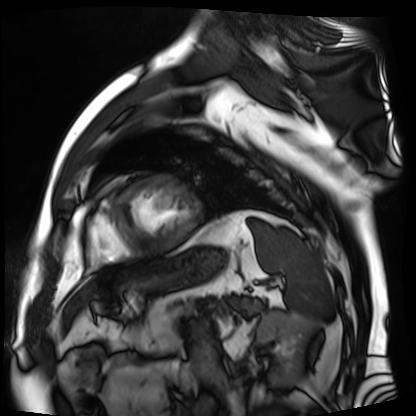
Cardiac MR image of the myocardium. Subject cohort: cardiac patient.